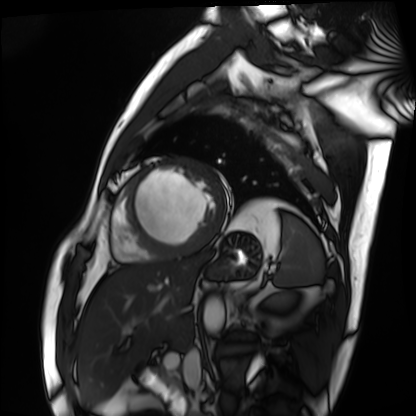
Clinical context:
Cardiac MRI. Subject group: patient.